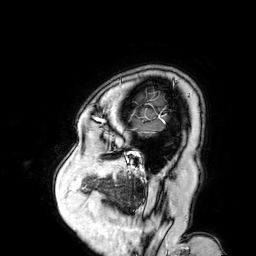
3 Tesla brain MRI.
Study: ring-enhancing brain masses.